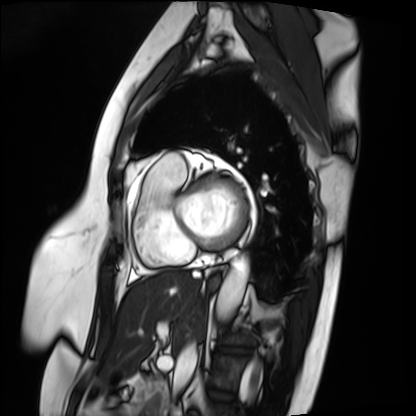
<case>
  <modality>cardiac MRI</modality>
  <cohort>patient</cohort>
</case>